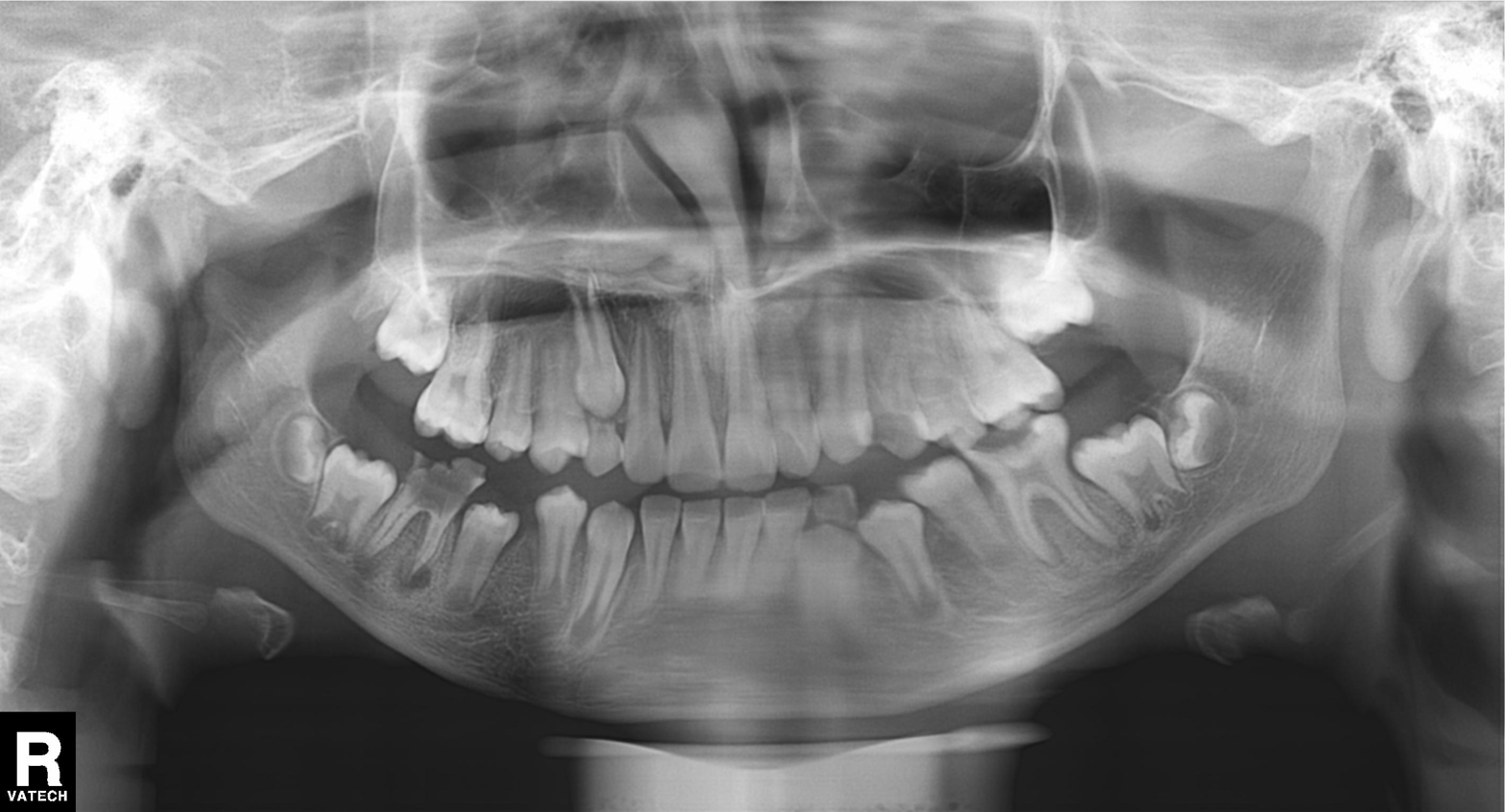
Panoramic dental radiograph (orthopantomogram). Finding: alveolar bone loss.